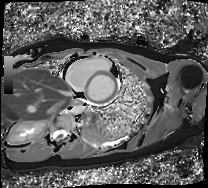
Case summary: Cardiac MRI. Subject group: healthy volunteer.